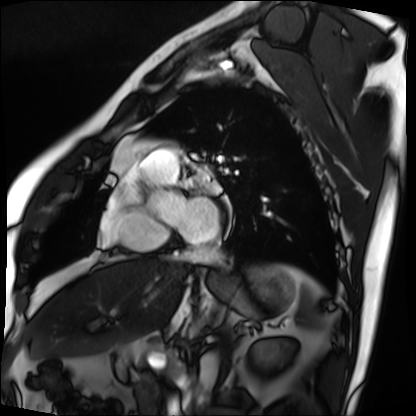
Summary: Cardiac MRI. Subject group: patient.